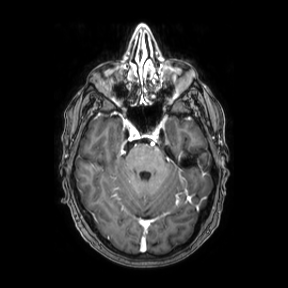
Summary: 3 Tesla brain MRI. Series: axial. Study: ring-enhancing brain masses.